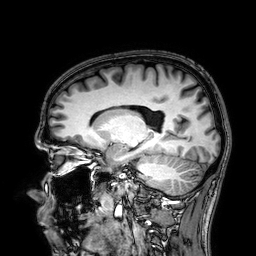
modality:
  type: brain MRI
  field_strength: 3T
series: 3D T1-weighted
study_topic: ring-enhancing brain masses